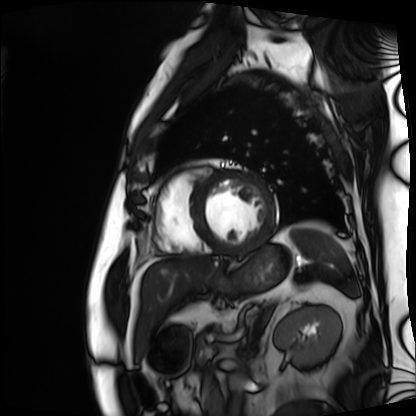
Cardiac MRI.
Subject group: patient.